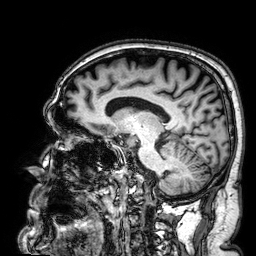
3 Tesla brain MRI. Series: 3D T1-weighted. Study: ring-enhancing brain masses.